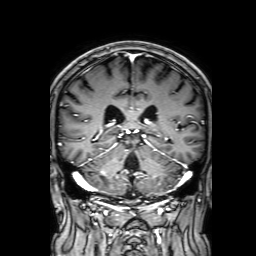
Summary:
3 Tesla brain MRI. Series: 3D T1-weighted with SENSE. Study: ring-enhancing brain masses.